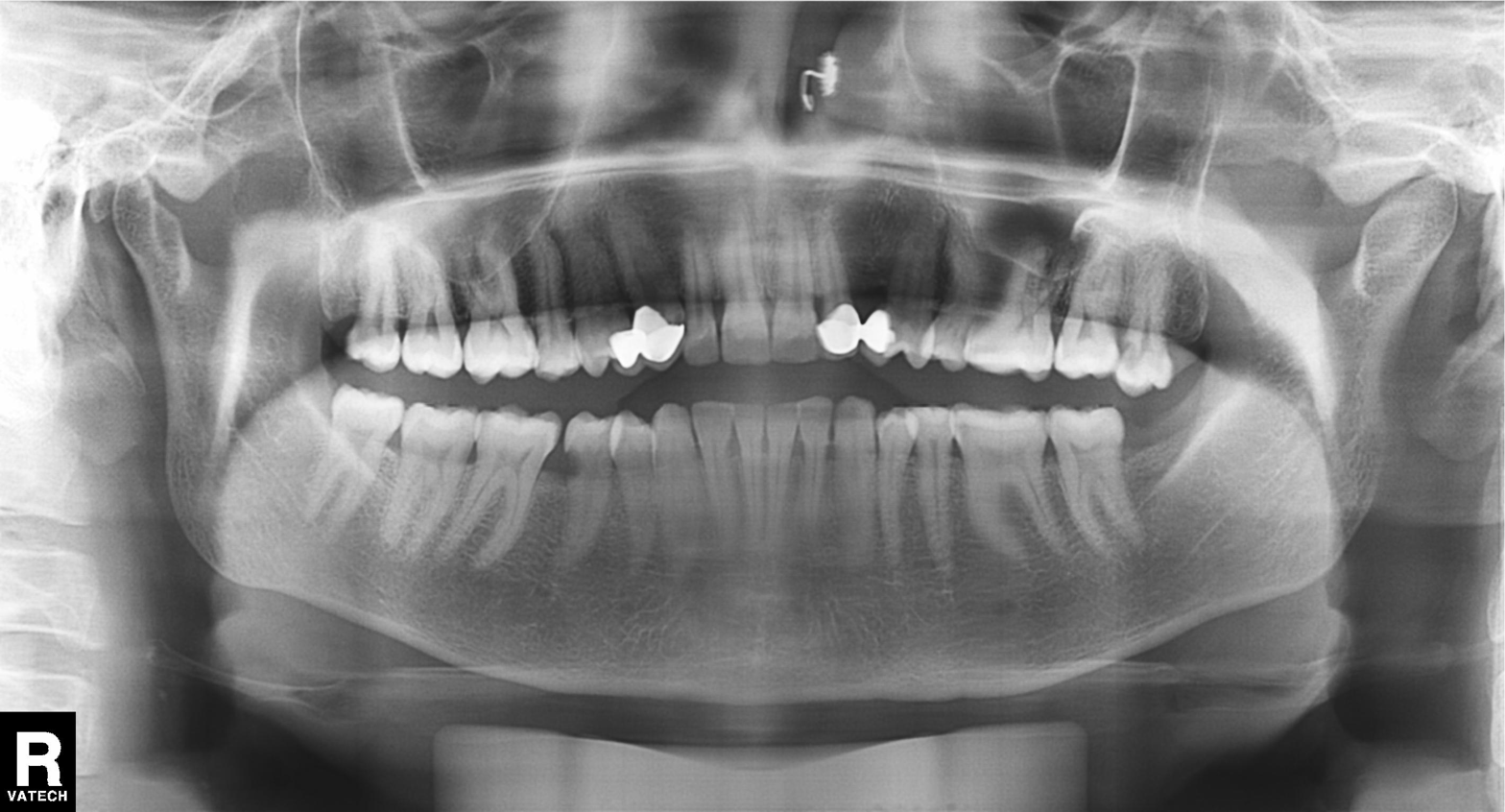
Panoramic dental radiograph (orthopantomogram).
Finding: tooth impaction.